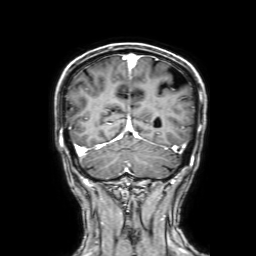
3 Tesla brain MRI. Series: 3D T1-weighted with SENSE. Study: ring-enhancing brain masses.